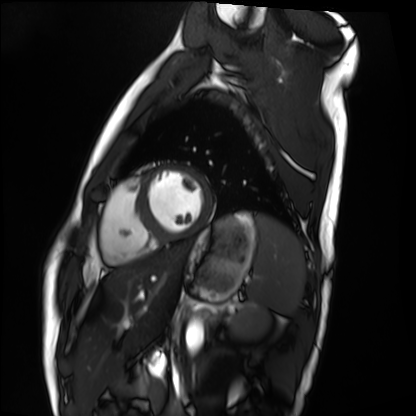
Cardiac MRI.
Subject group: healthy volunteer.